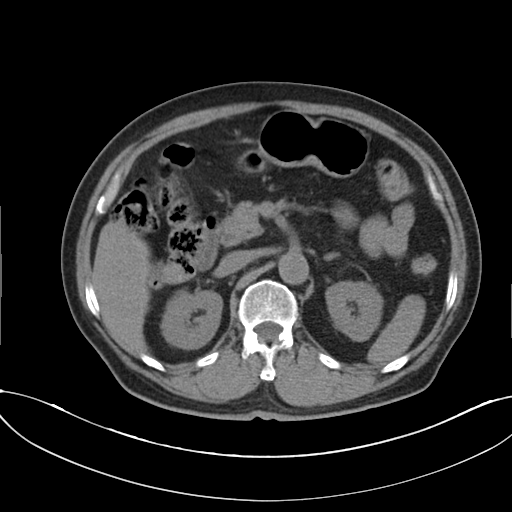
Q: What kind of scan is this?
A: Multiphase abdominal CT, liver, non-contrast phase.
Q: Patient?
A: Male, age 72.
Q: History?
A: Cirrhosis, viral hepatitis.